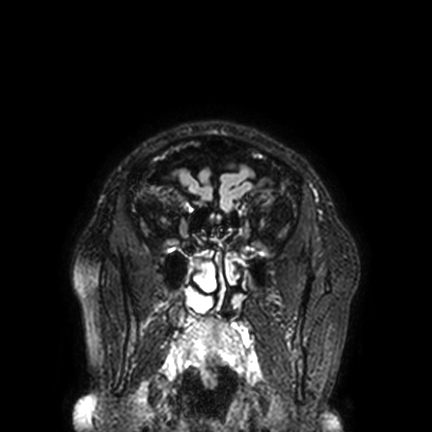
Q: What kind of scan is this?
A: 3 Tesla brain MRI.
Study: ring-enhancing brain masses.